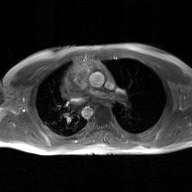
2D phase-contrast cine MRI of the ascending aorta, GAN super-resolution reconstruction.